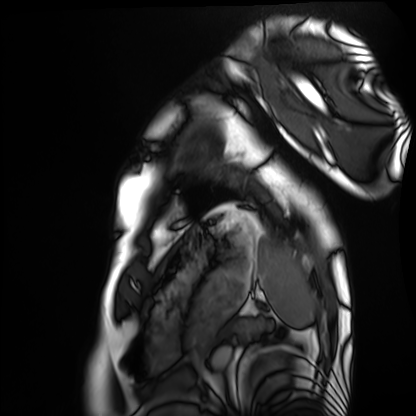
Case:
- modality — cardiac MRI
- subject group — healthy volunteer